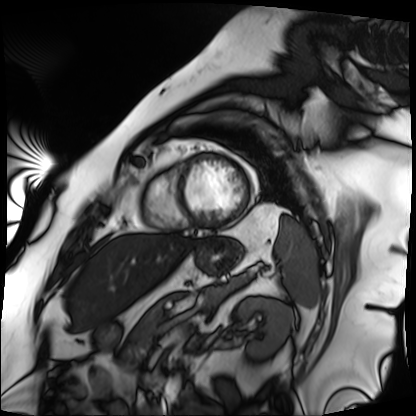
Cardiac MRI. Subject group: patient.